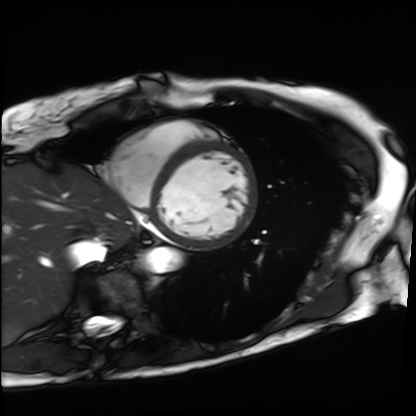
Case:
• modality · cardiac MRI
• subject group · patient